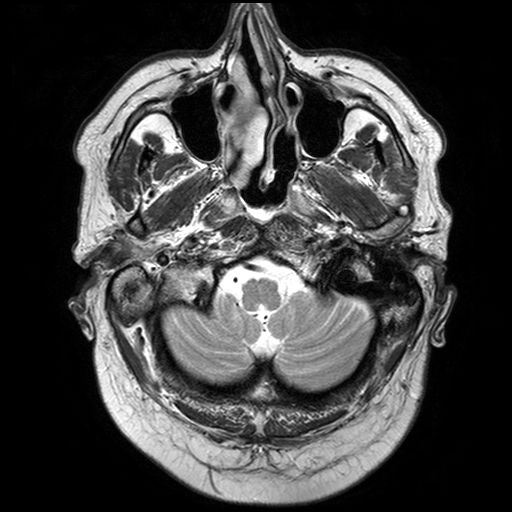
modality: 3 Tesla brain MRI | series: T2-weighted turbo spin echo with SENSE | study: ring-enhancing brain masses.